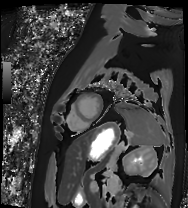
Summary: Cardiac MRI. Subject group: patient.